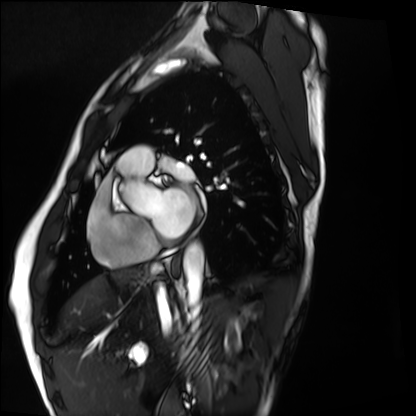
Cardiac MRI. Subject group: healthy volunteer.